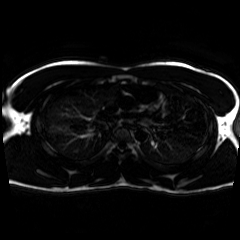
Chemical-shift-encoded cardiac MRI.